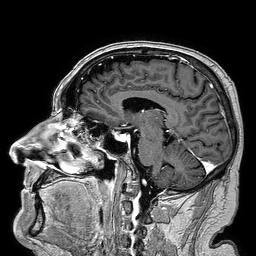
| field | value |
|---|---|
| modality | 3 Tesla brain MRI |
| series | 3D T1-weighted turbo field echo |
| study | ring-enhancing brain masses |